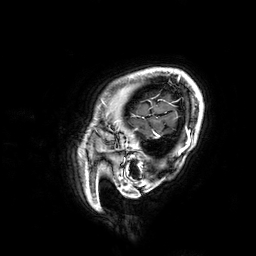
3 Tesla brain MRI. Study: ring-enhancing brain masses.